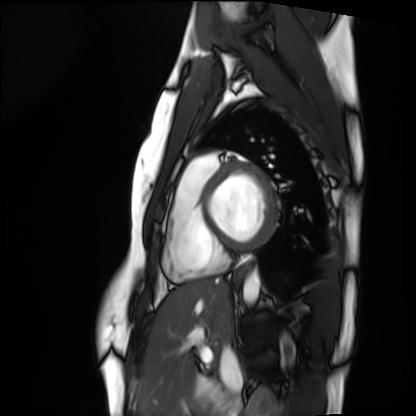
Cardiac MRI. Subject group: healthy volunteer.